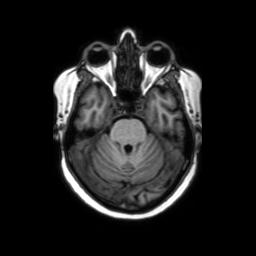
Case summary:
3 Tesla brain MRI. Series: axial without contrast. Study: ring-enhancing brain masses.